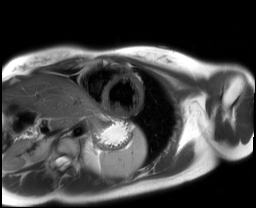
Cardiac MRI.
Subject group: healthy volunteer.